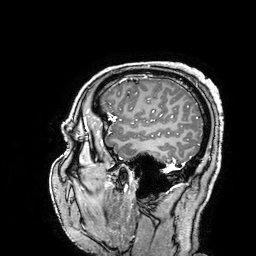
modality:
  type: brain MRI
  field_strength: 3T
series: 3D T1-weighted turbo field echo with SENSE
study_topic: ring-enhancing brain masses